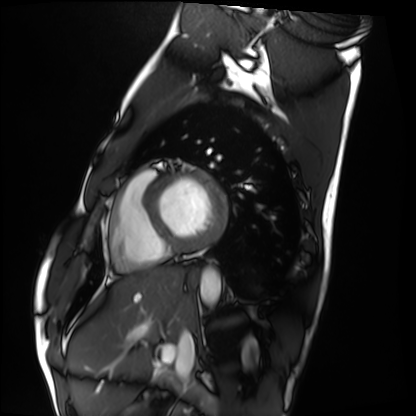
Cardiac MRI. Subject group: healthy volunteer.